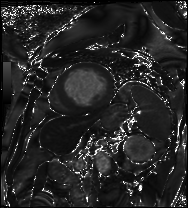
Case:
• modality — cardiac MRI
• subject group — patient